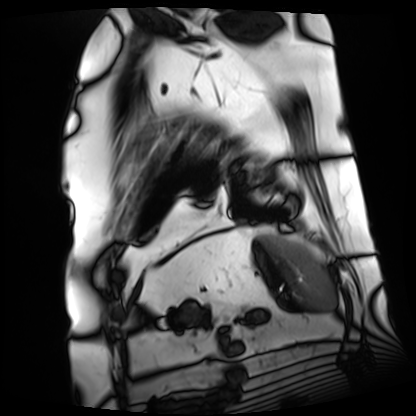
Cardiac MRI.
Subject group: patient.